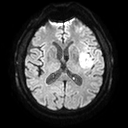
modality:
  type: brain MRI
  field_strength: 3T
series: diffusion tensor imaging (medium iso)
study_topic: ring-enhancing brain masses